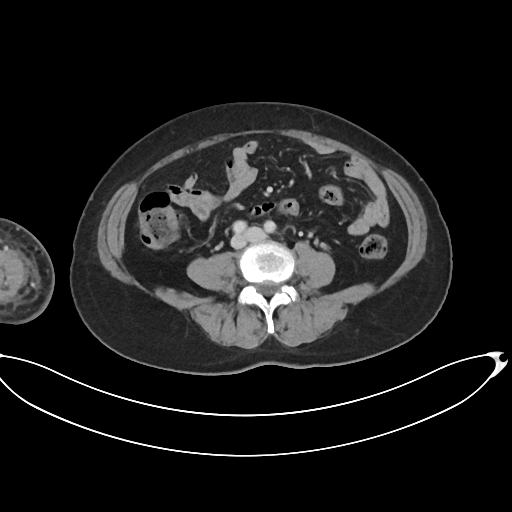
Summary: Multiphase abdominal CT, liver, portal venous phase. Patient: female, age 63.